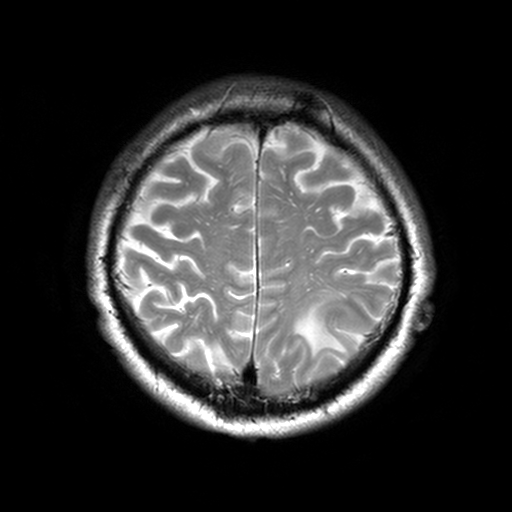
Q: What kind of scan is this?
A: 3 Tesla brain MRI.
Q: Series?
A: T2-weighted turbo spin echo, 3 mm.
Study: ring-enhancing brain masses.